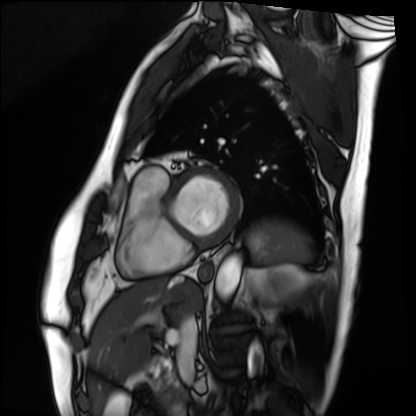
Cardiac MRI.
Subject group: patient.